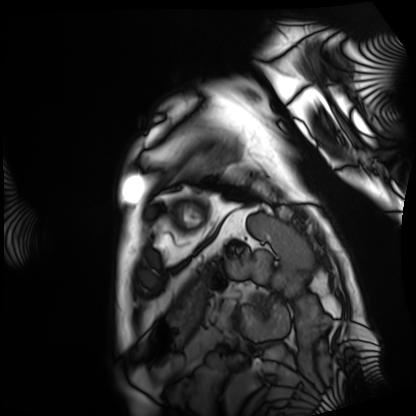
Q: What kind of scan is this?
A: Cardiac MRI.
Subject group: patient.